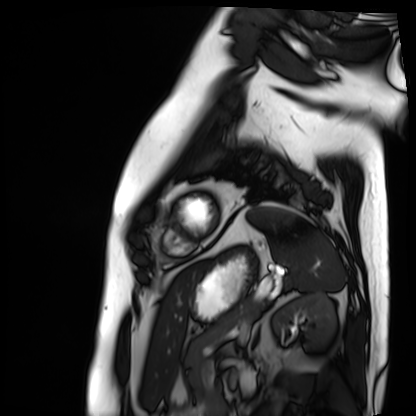
Cardiac MRI. Subject group: patient.